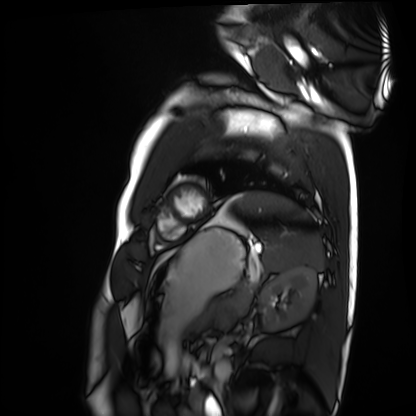
Cardiac MRI. Subject group: healthy volunteer.